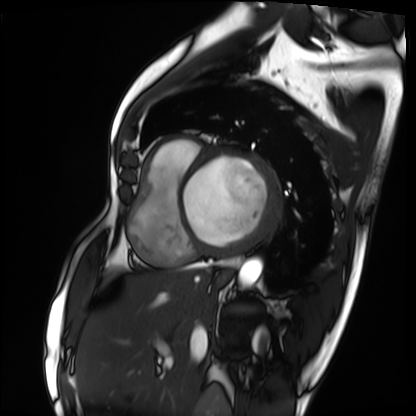
Cardiac MRI. Subject group: patient.